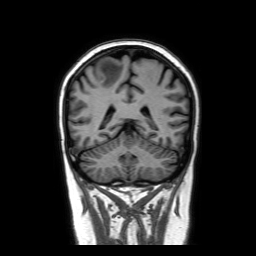
3 Tesla brain MRI. Series: coronal without contrast. Study: ring-enhancing brain masses.